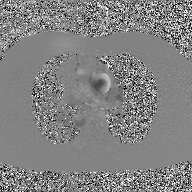
{"modality": {"type": "2D phase-contrast cine MRI", "region": "ascending aorta", "reconstruction": "GAN super-resolution reconstruction"}}